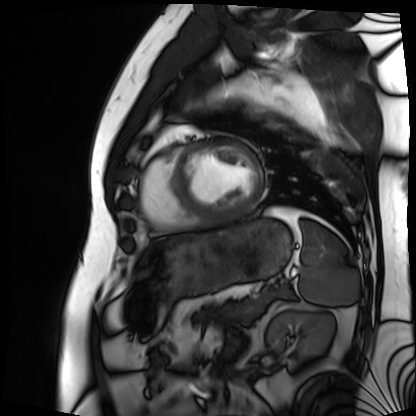
Clinical context: Cardiac MRI. Subject group: patient.